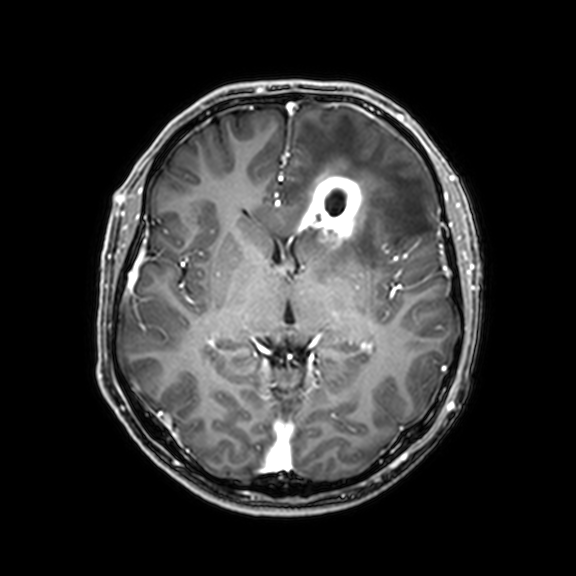
modality = 3 Tesla brain MRI; series = 3D T1-weighted with CLEAR; study = ring-enhancing brain masses.